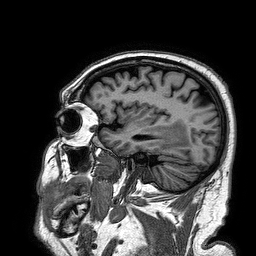
Q: What kind of scan is this?
A: 3 Tesla brain MRI.
Q: Series?
A: 3D T1-weighted turbo field echo.
Study: ring-enhancing brain masses.